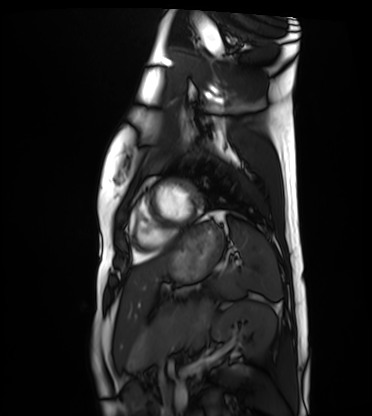
modality=cardiac MRI; subject group=healthy volunteer.